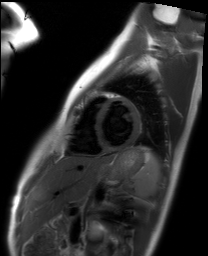
Cardiac MRI.
Subject group: healthy volunteer.